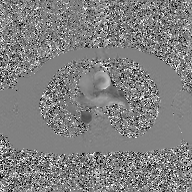
2D phase-contrast cine MRI of the ascending aorta, GAN super-resolution reconstruction.